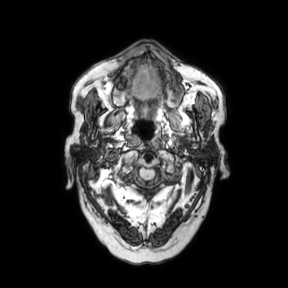
modality = 3 Tesla brain MRI | series = axial | study = ring-enhancing brain masses.